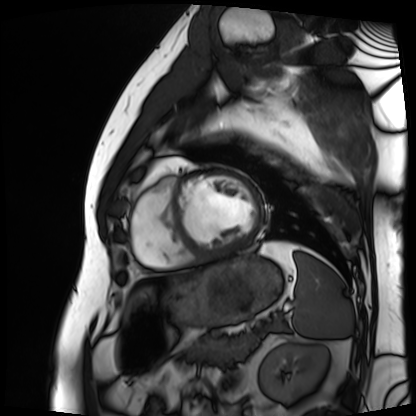
{"modality": "cardiac MRI", "cohort": "patient"}